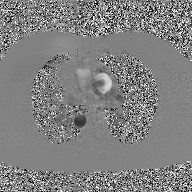
Case summary: 2D phase-contrast cine MRI of the ascending aorta, GAN super-resolution reconstruction.